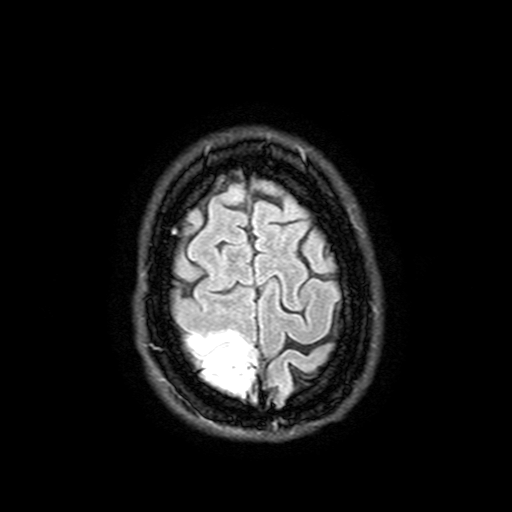
Clinical context: 3 Tesla brain MRI. Series: FLAIR with SPAIR, 3 mm. Study: ring-enhancing brain masses.